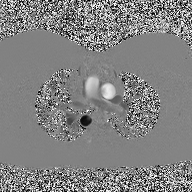
modality: 2D phase-contrast cine MRI of the ascending aorta.